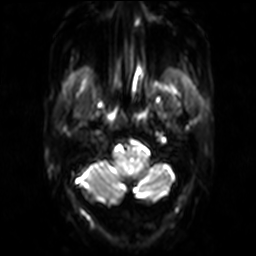
Q: What kind of scan is this?
A: 3 Tesla brain MRI.
Q: Series?
A: Diffusion-weighted imaging.
Study: ring-enhancing brain masses.